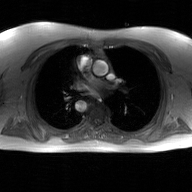
modality: 2D phase-contrast cine MRI of the ascending aorta, GAN super-resolution reconstruction